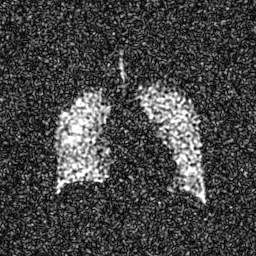
* modality — hyperpolarized 129Xe ventilation MRI of the lungs
* SNR level — 6 of 8 (the deposit holds this scan as its native image and as seven SNR-degraded versions)